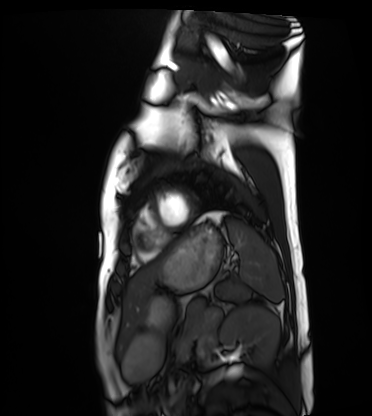
Cardiac MRI.
Subject group: healthy volunteer.